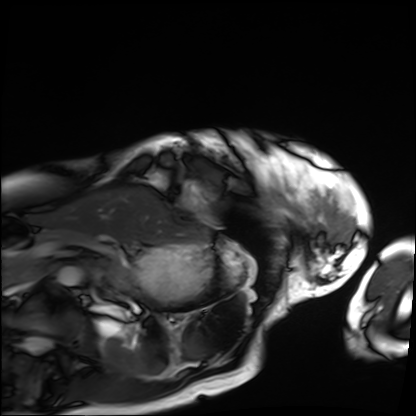
Cardiac MRI. Subject group: patient.